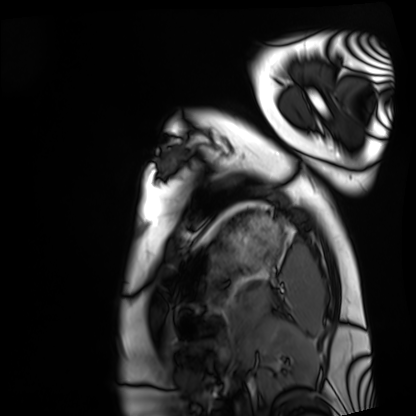
Cardiac MRI. Subject group: healthy volunteer.